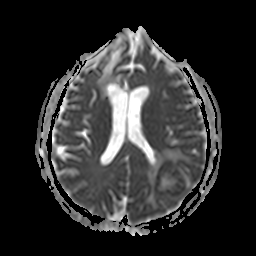
3 Tesla brain MRI. Study: ring-enhancing brain masses.